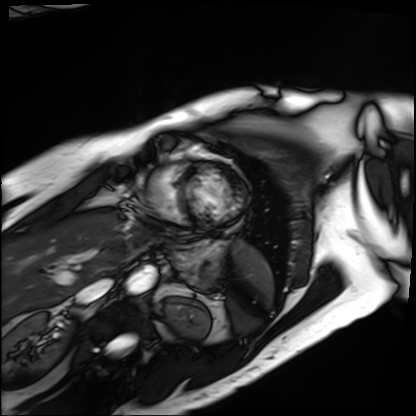
Cardiac MRI.
Subject group: patient.